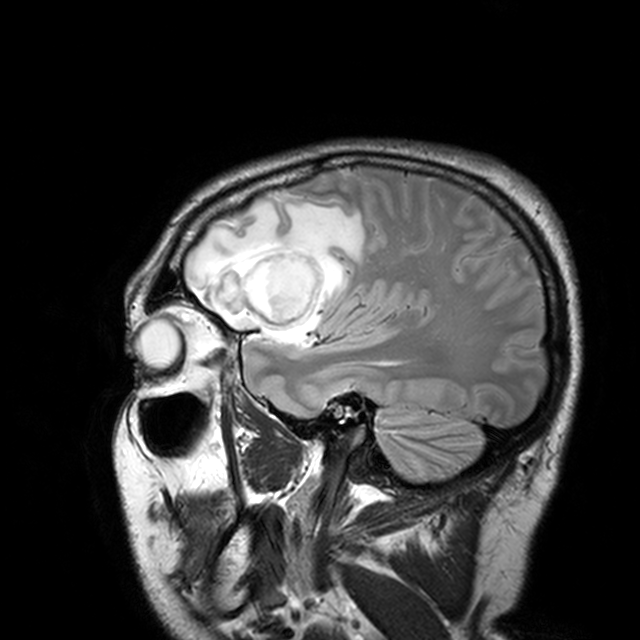
modality: 3 Tesla brain MRI; series: T2-weighted turbo spin echo with CLEAR; study: ring-enhancing brain masses.